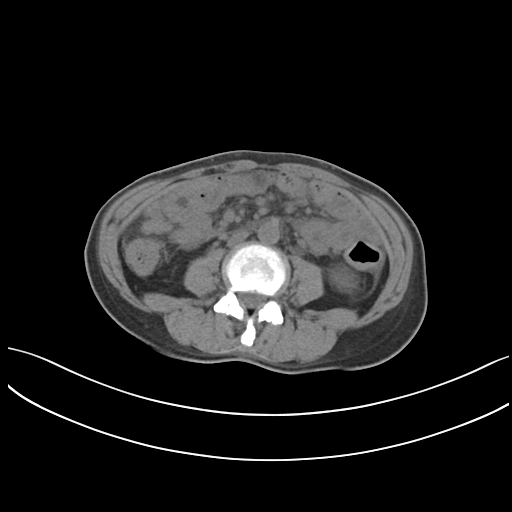
Case:
– modality · multiphase abdominal CT, liver, non-contrast phase
– patient · female, age 46
– history · prior chemotherapy